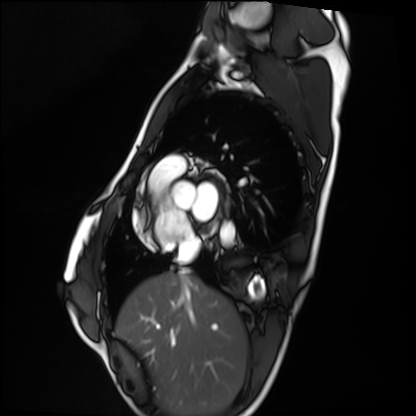
<case>
<modality>cardiac MRI</modality>
<cohort>healthy volunteer</cohort>
</case>